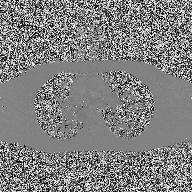
| field | value |
|---|---|
| modality | 2D phase-contrast cine MRI of the ascending aorta |